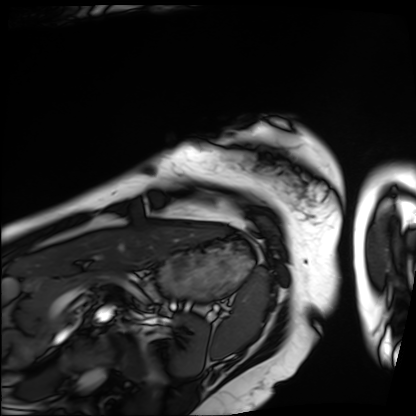
Case summary: Cardiac MRI. Subject group: patient.